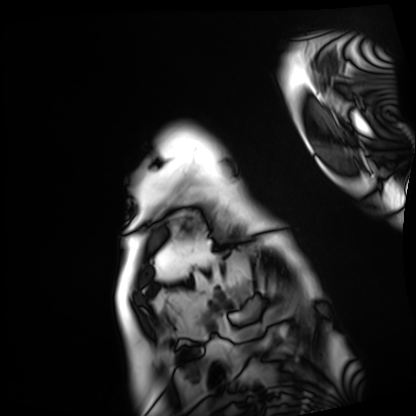
<record>
<modality>cardiac MRI</modality>
<cohort>patient</cohort>
</record>